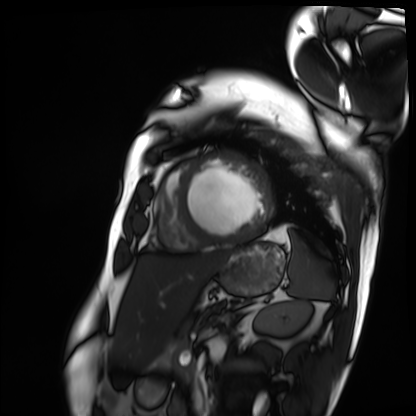
modality = cardiac MRI
subject group = patient